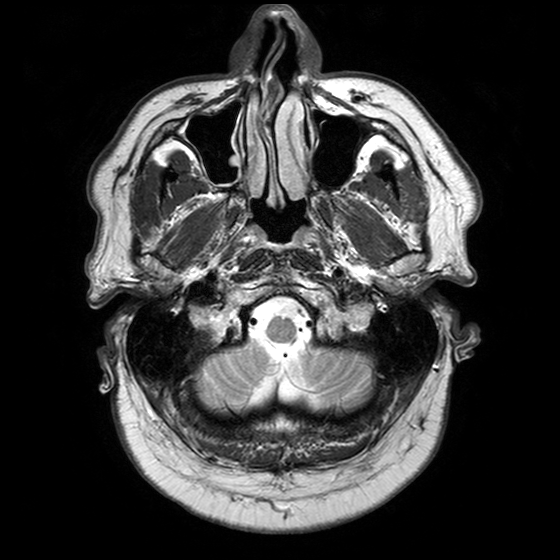
| field | value |
|---|---|
| modality | 3 Tesla brain MRI |
| series | T2-weighted turbo spin echo with SENSE |
| study | ring-enhancing brain masses |